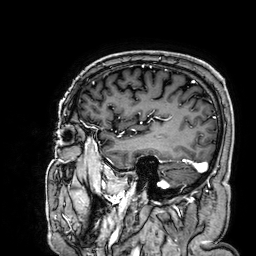
3 Tesla brain MRI. Series: 3D T1-weighted. Study: ring-enhancing brain masses.